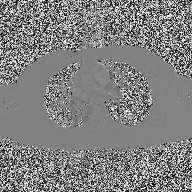
Case summary: 2D phase-contrast cine MRI of the ascending aorta, high-resolution GRAPPA acquisition.